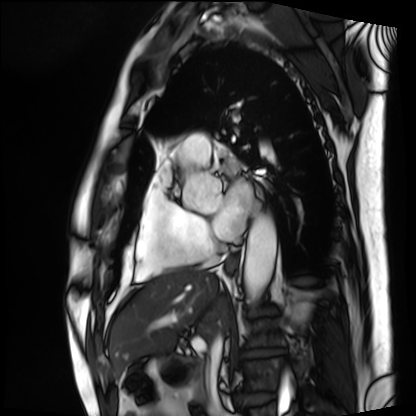
modality: cardiac MRI | subject group: patient.